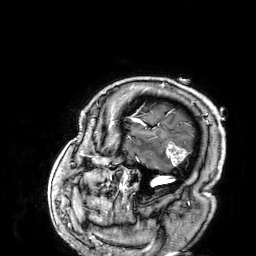
Q: What kind of scan is this?
A: 3 Tesla brain MRI.
Q: Series?
A: 3D T1-weighted.
Study: ring-enhancing brain masses.